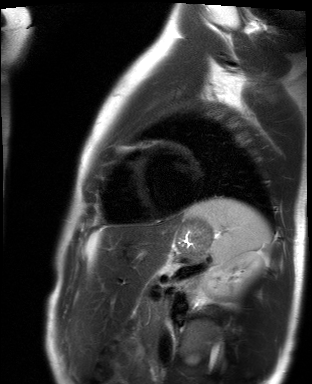
Case:
- modality · cardiac MR image of the myocardium
- subject cohort · healthy volunteer